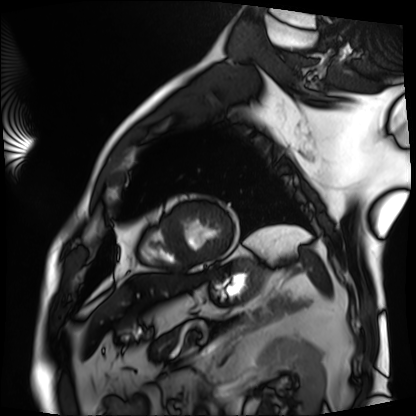
Cardiac MRI. Subject group: patient.